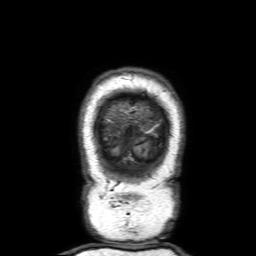
3 Tesla brain MRI. Series: 3D T1-weighted with SENSE. Study: ring-enhancing brain masses.